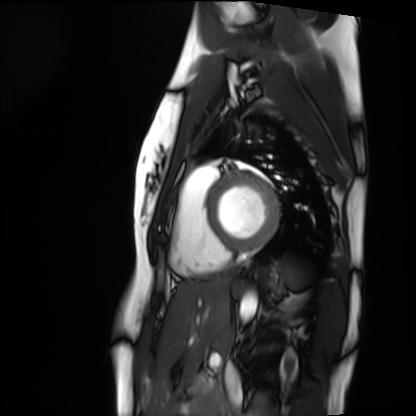
Q: What kind of scan is this?
A: Cardiac MRI.
Subject group: healthy volunteer.